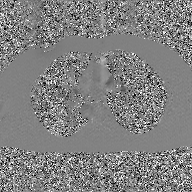
2D phase-contrast cine MRI of the ascending aorta, GAN super-resolution reconstruction.